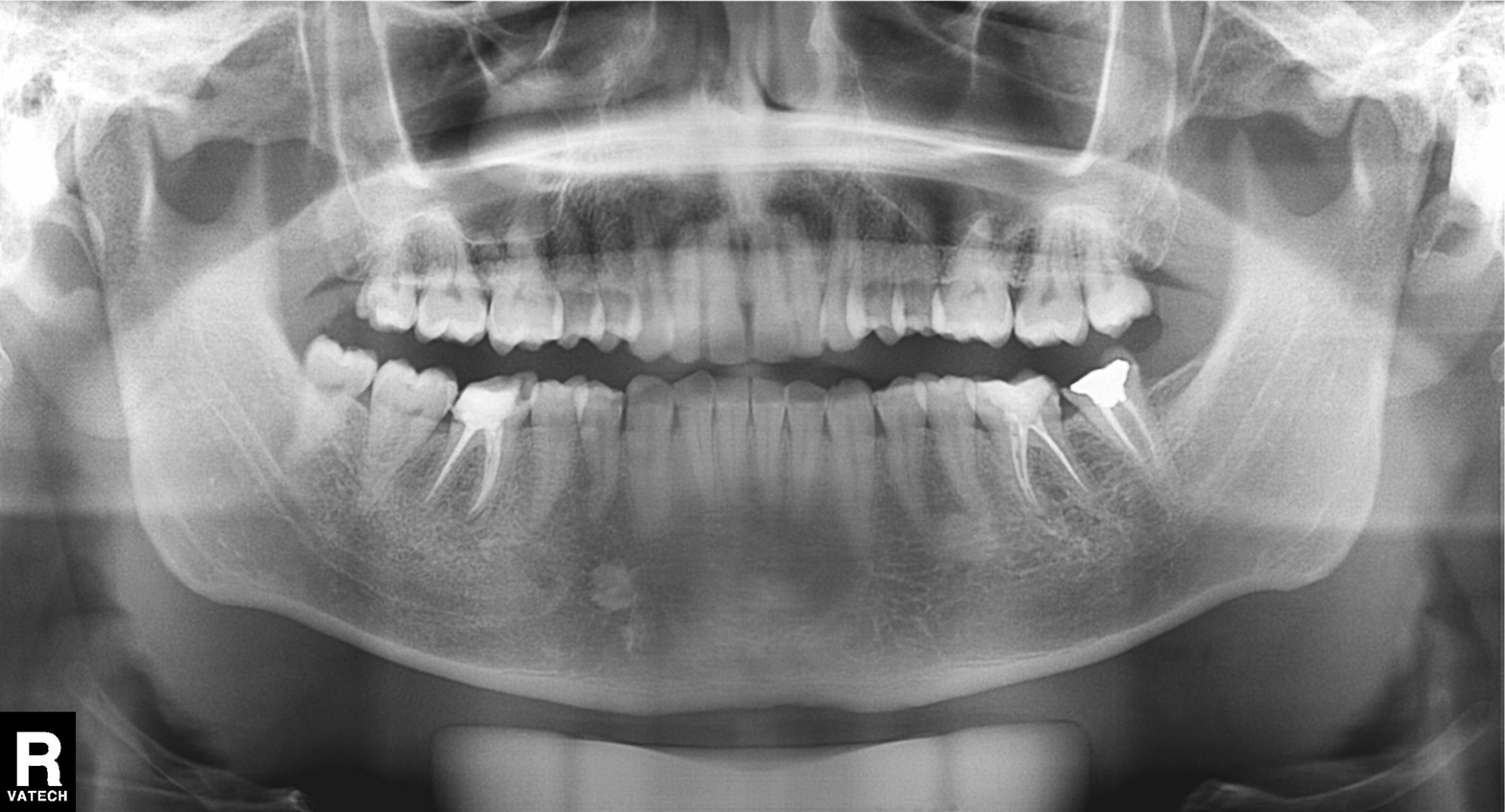
Case:
– modality: panoramic dental radiograph (orthopantomogram)
– finding: dental caries (cavities)